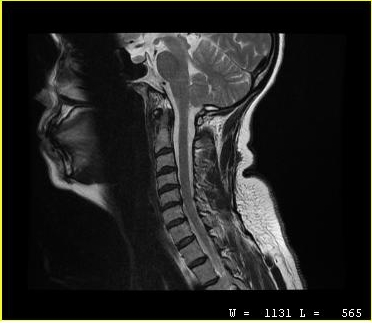
Q: What kind of scan is this?
A: MRI of the cervical spine.
Study: cervical spondylosis.